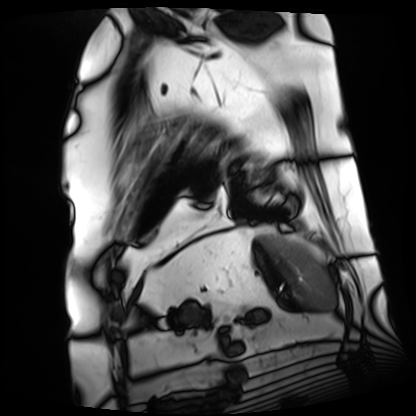
Case:
• modality: cardiac MRI
• subject group: patient